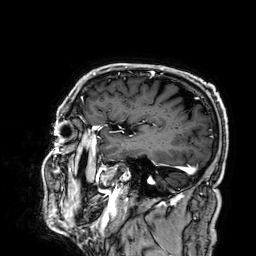
3 Tesla brain MRI.
Series: 3D T1-weighted.
Study: ring-enhancing brain masses.